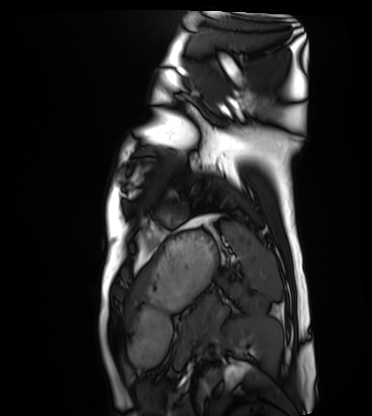
Summary: Cardiac MRI. Subject group: healthy volunteer.